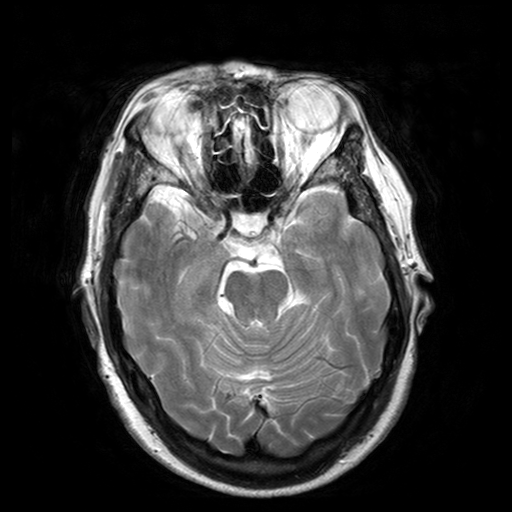
Q: What kind of scan is this?
A: 3 Tesla brain MRI.
Q: Series?
A: T2-weighted turbo spin echo with SENSE.
Study: ring-enhancing brain masses.